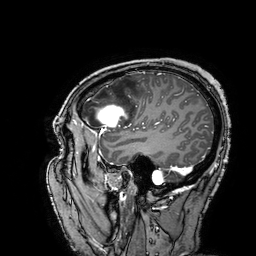
Case:
– modality — 3 Tesla brain MRI
– series — 3D T1-weighted turbo field echo with SENSE
– study — ring-enhancing brain masses